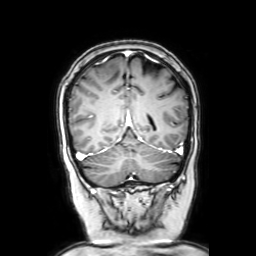
3 Tesla brain MRI. Series: coronal with contrast. Study: ring-enhancing brain masses.